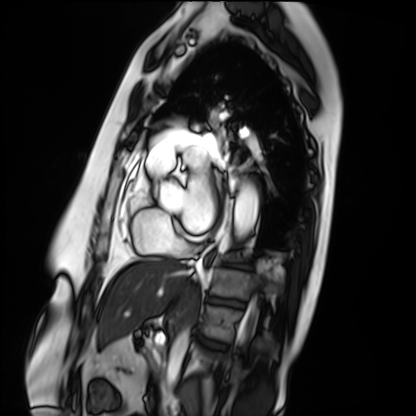
– modality — cardiac MRI
– subject group — patient